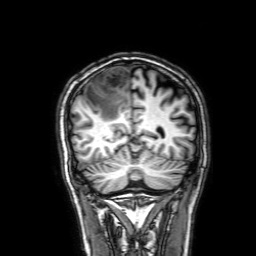
3 Tesla brain MRI. Series: 3D T1-weighted with SENSE. Study: ring-enhancing brain masses.